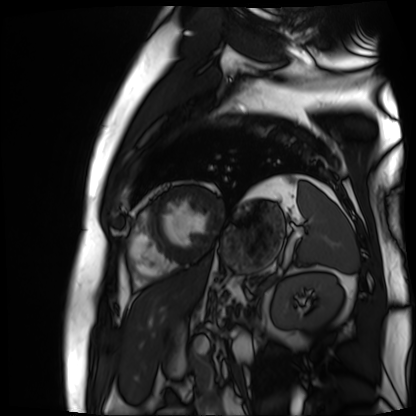
Case:
- modality · cardiac MR image of the myocardium
- subject cohort · cardiac patient